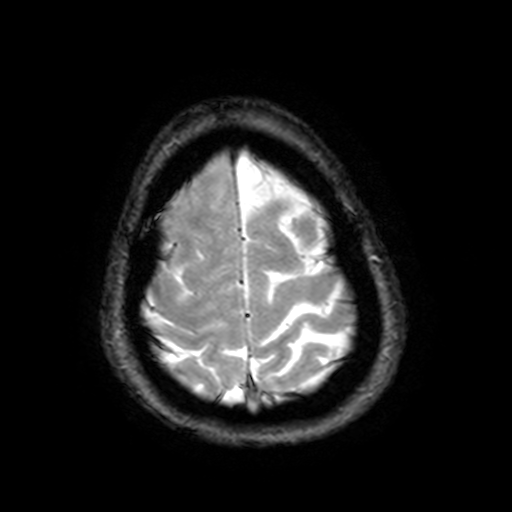
modality: 3 Tesla brain MRI; study: ring-enhancing brain masses.